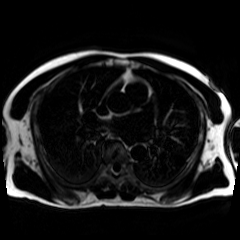
Chemical-shift-encoded cardiac MRI.